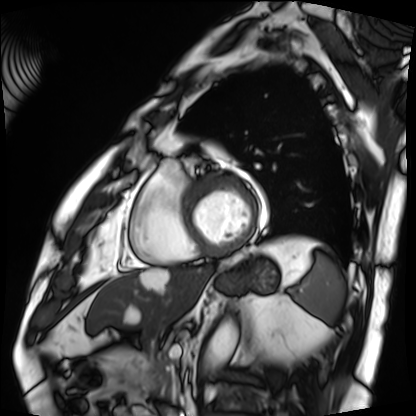
- modality — cardiac MRI
- subject group — patient